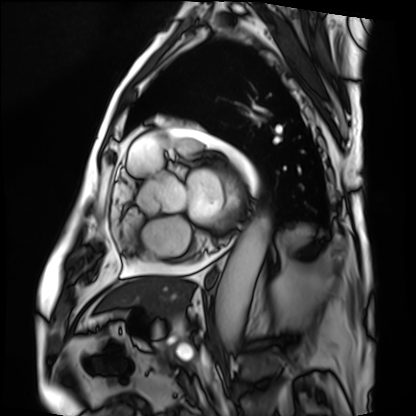
Cardiac MRI. Subject group: patient.